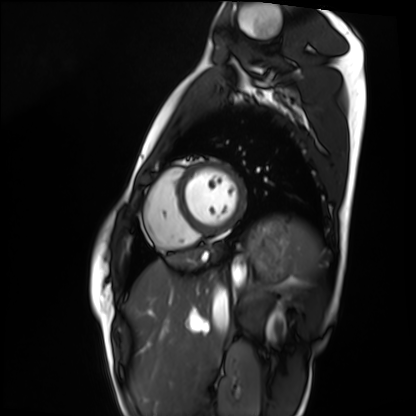
Summary: Cardiac MRI. Subject group: healthy volunteer.